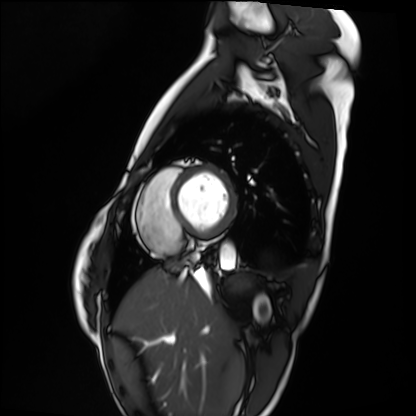
• modality: cardiac MRI
• subject group: healthy volunteer